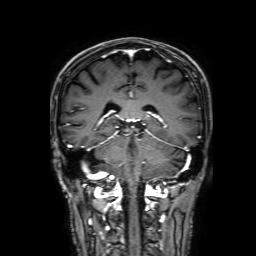
| field | value |
|---|---|
| modality | 3 Tesla brain MRI |
| series | 3D T1-weighted with SENSE |
| study | ring-enhancing brain masses |